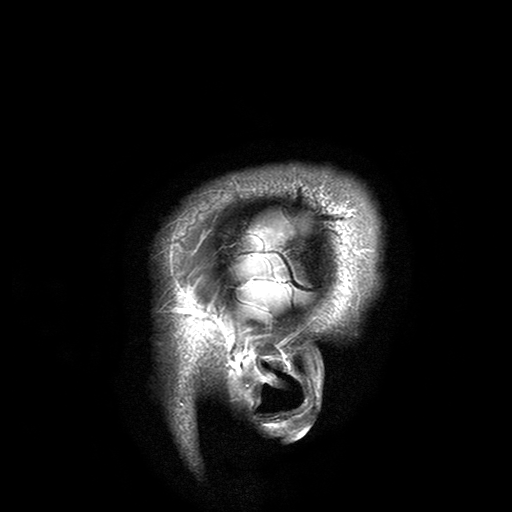
3 Tesla brain MRI. Series: T2-weighted turbo spin echo with SENSE. Study: ring-enhancing brain masses.